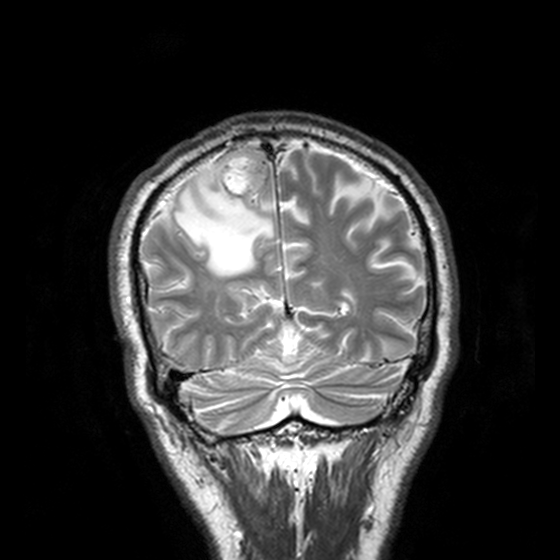
3 Tesla brain MRI. Series: T2-weighted turbo spin echo, 3 mm. Study: ring-enhancing brain masses.